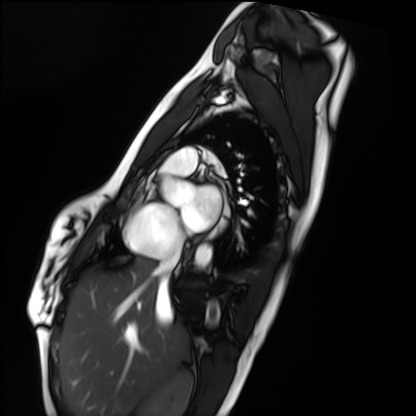
Clinical context: Cardiac MRI. Subject group: healthy volunteer.